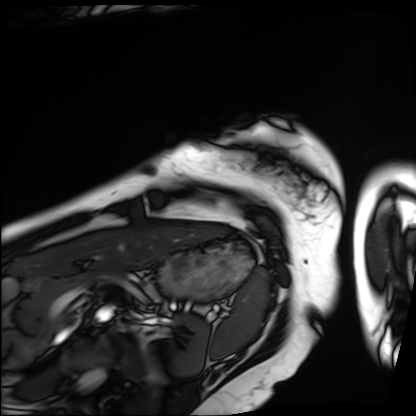
– modality — cardiac MRI
– subject group — patient